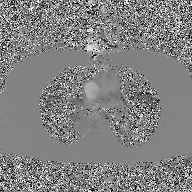
Summary:
2D phase-contrast cine MRI of the ascending aorta, GAN super-resolution reconstruction.